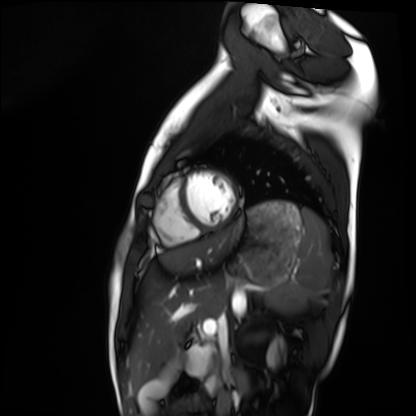
Summary:
Cardiac MRI. Subject group: healthy volunteer.